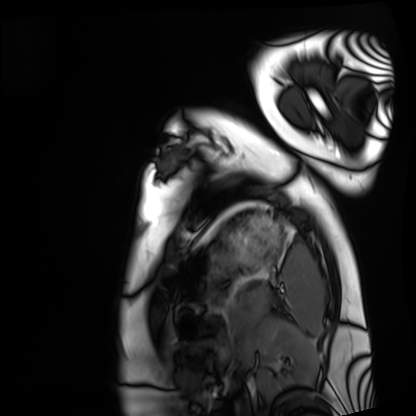
modality = cardiac MRI | subject group = healthy volunteer.